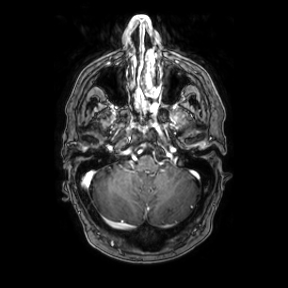
• modality: 3 Tesla brain MRI
• series: axial
• study: ring-enhancing brain masses